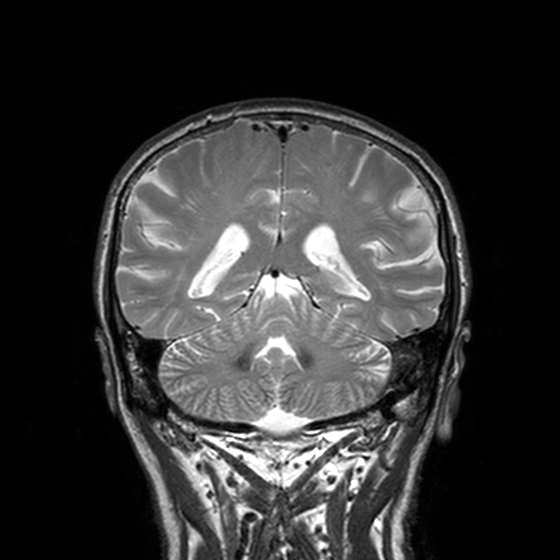
Q: What kind of scan is this?
A: 3 Tesla brain MRI.
Q: Series?
A: T2-weighted turbo spin echo, 3 mm.
Study: ring-enhancing brain masses.